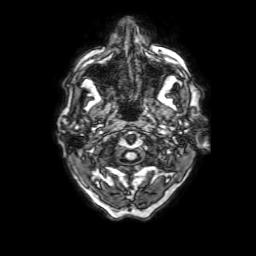
<case>
<modality>
  <type>brain MRI</type>
  <field_strength>3T</field_strength>
</modality>
<series>3D T1-weighted with SENSE</series>
<study_topic>ring-enhancing brain masses</study_topic>
</case>